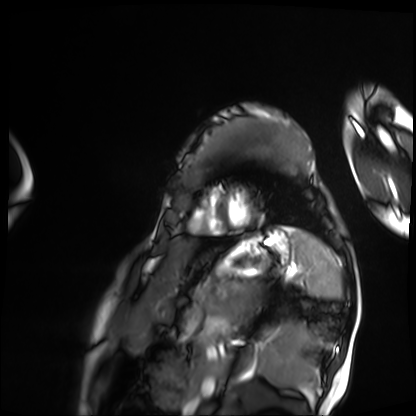
modality = cardiac MRI | subject group = patient.